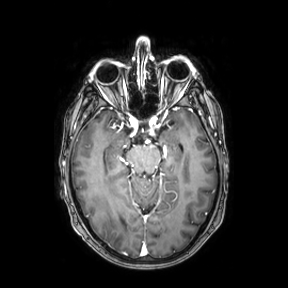
3 Tesla brain MRI.
Series: axial.
Study: ring-enhancing brain masses.